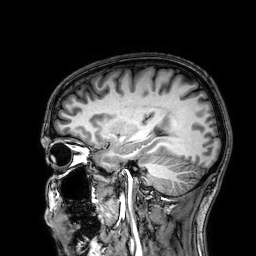
3 Tesla brain MRI. Series: 3D T1-weighted. Study: ring-enhancing brain masses.